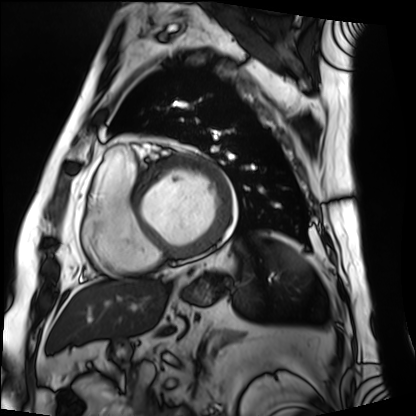
Q: What kind of scan is this?
A: Cardiac MRI.
Subject group: patient.